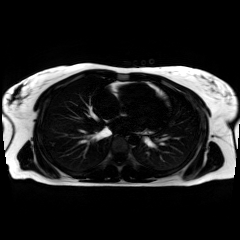
Case summary:
Chemical-shift-encoded cardiac MRI.